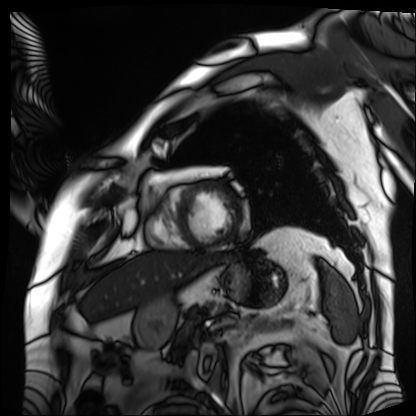
Q: What kind of scan is this?
A: Cardiac MRI.
Subject group: patient.